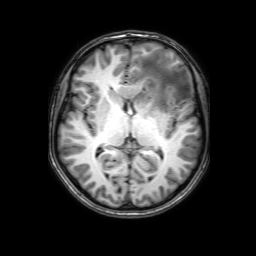
Q: What kind of scan is this?
A: 3 Tesla brain MRI.
Q: Series?
A: 3D T1-weighted with SENSE.
Study: ring-enhancing brain masses.